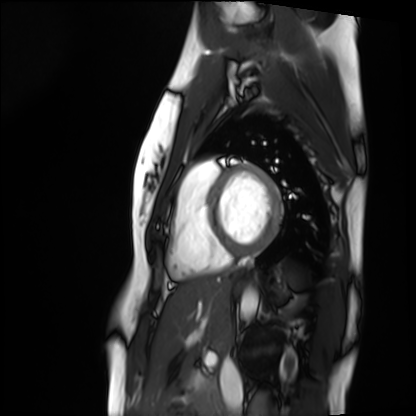
Q: What kind of scan is this?
A: Cardiac MRI.
Subject group: healthy volunteer.